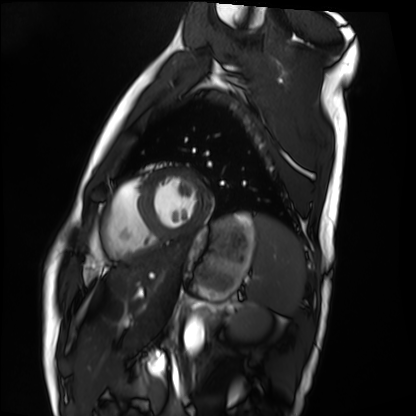
Case summary: Cardiac MRI. Subject group: healthy volunteer.